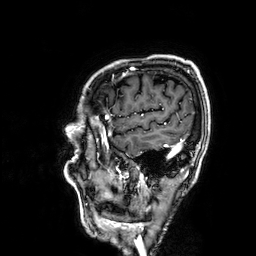
Summary: 3 Tesla brain MRI. Series: 3D T1-weighted. Study: ring-enhancing brain masses.